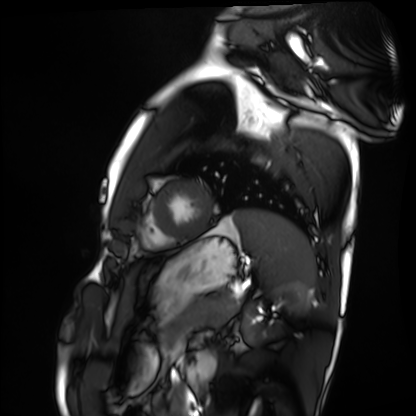
| field | value |
|---|---|
| modality | cardiac MRI |
| subject group | healthy volunteer |